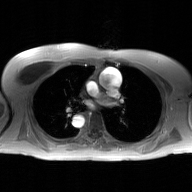
modality = 2D phase-contrast cine MRI of the ascending aorta, GAN super-resolution reconstruction.